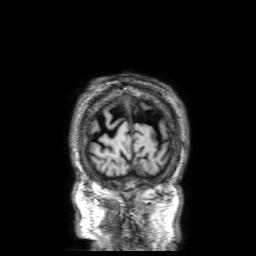
3 Tesla brain MRI.
Series: 3D T1-weighted with SENSE.
Study: ring-enhancing brain masses.